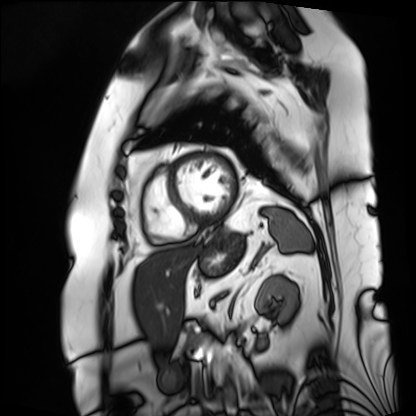
Cardiac MRI. Subject group: patient.